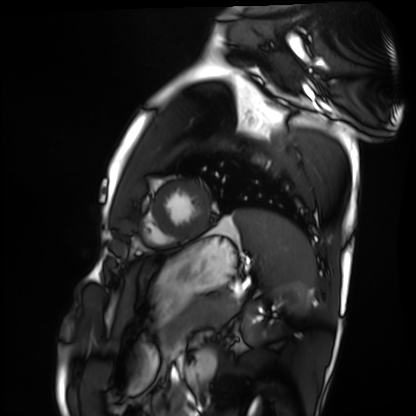
Summary: Cardiac MRI. Subject group: healthy volunteer.